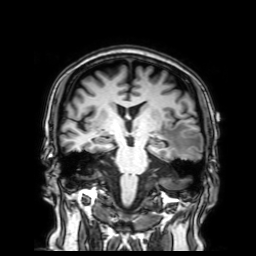
Clinical context:
3 Tesla brain MRI. Series: 3D T1-weighted with SENSE. Study: ring-enhancing brain masses.